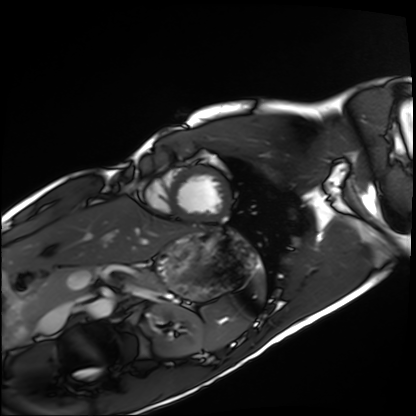
<study>
<modality>cardiac MRI</modality>
<cohort>healthy volunteer</cohort>
</study>